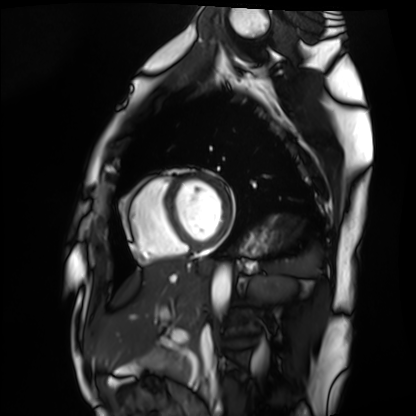
{
  "modality": "cardiac MRI",
  "cohort": "healthy volunteer"
}